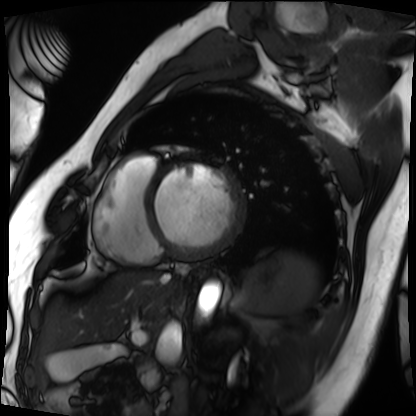
Cardiac MRI. Subject group: patient.